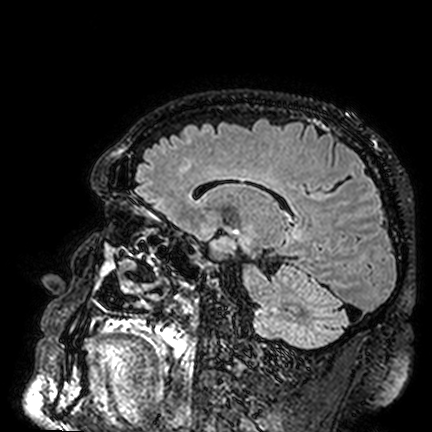
- modality — 3 Tesla brain MRI
- series — FLAIR VISTA
- study — ring-enhancing brain masses